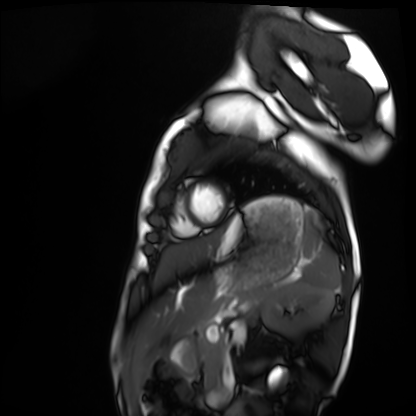
Cardiac MRI.
Subject group: healthy volunteer.